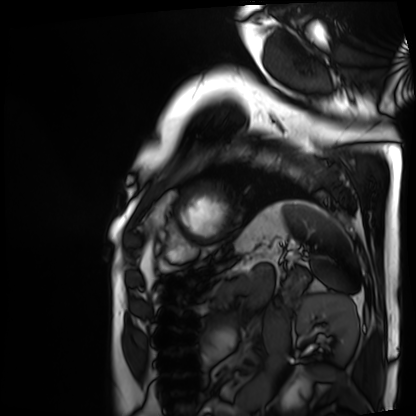
Case:
- modality: cardiac MRI
- subject group: patient